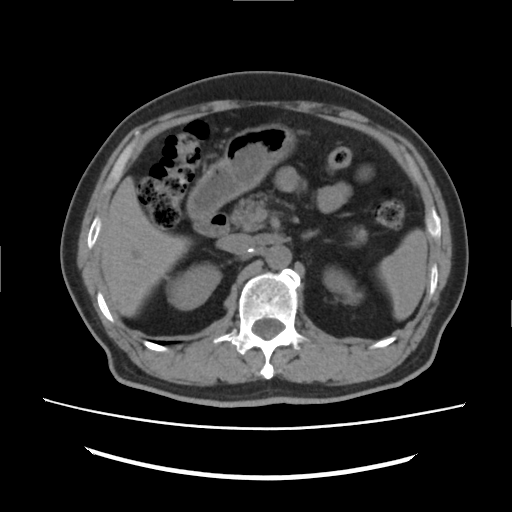
- modality: multiphase abdominal CT, liver, non-contrast phase
- patient: male, age 73